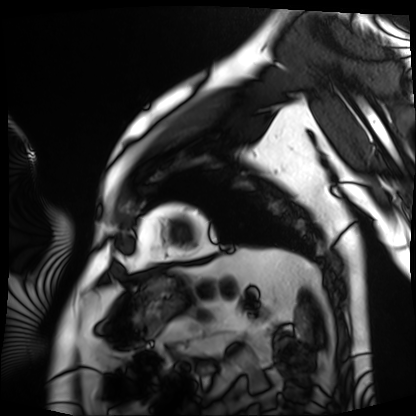
Case summary:
Cardiac MRI. Subject group: patient.